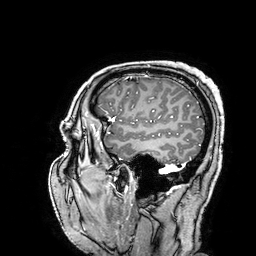
3 Tesla brain MRI. Series: 3D T1-weighted turbo field echo with SENSE. Study: ring-enhancing brain masses.